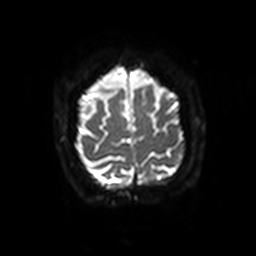
modality: 3 Tesla brain MRI | series: diffusion-weighted imaging with SENSE (WIP) | study: ring-enhancing brain masses.